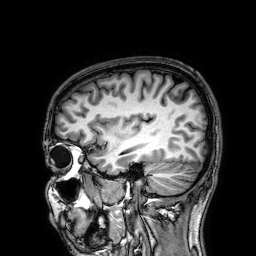
Case summary:
3 Tesla brain MRI. Series: 3D T1-weighted. Study: ring-enhancing brain masses.